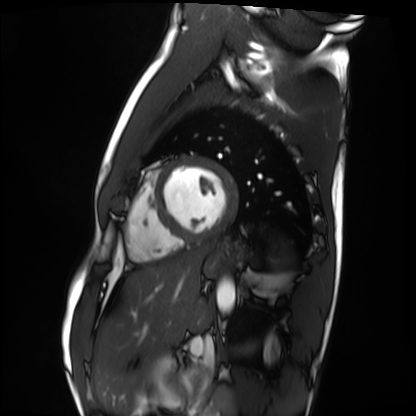
Cardiac MRI.
Subject group: healthy volunteer.